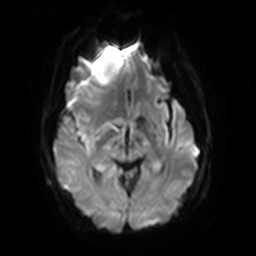
3 Tesla brain MRI.
Series: diffusion-weighted imaging with SENSE (WIP).
Study: ring-enhancing brain masses.